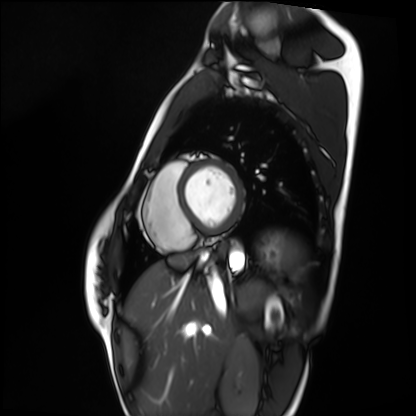
Q: What kind of scan is this?
A: Cardiac MRI.
Subject group: healthy volunteer.